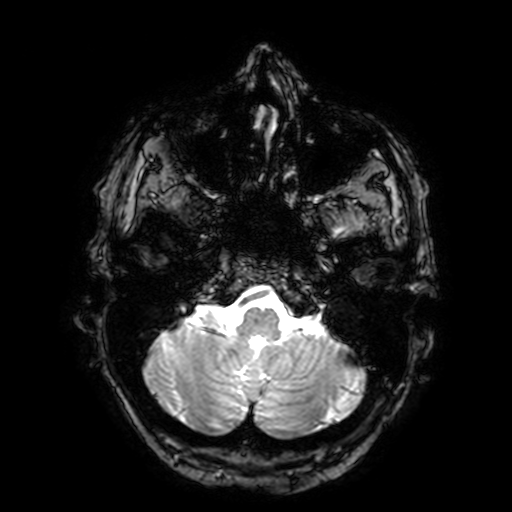
3 Tesla brain MRI. Series: T2-weighted fast field echo with SENSE. Study: ring-enhancing brain masses.